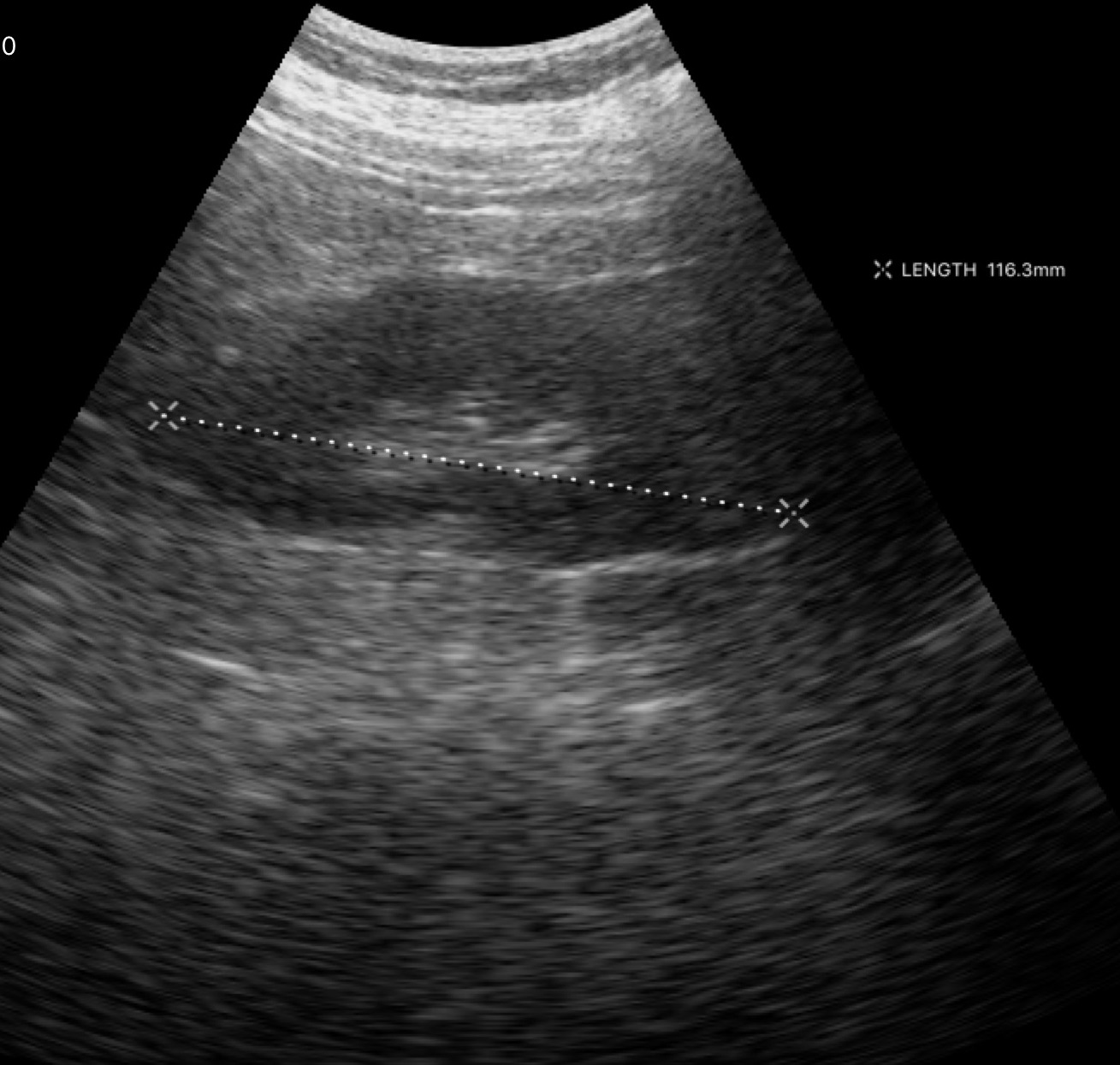
Genitourinary ultrasound.